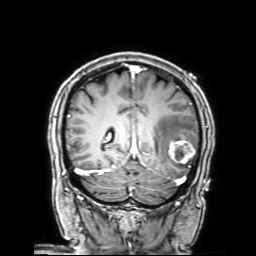
Summary: 3 Tesla brain MRI. Series: 3D T1-weighted with SENSE. Study: ring-enhancing brain masses.